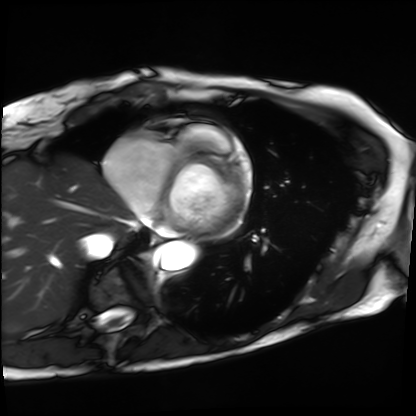
{
  "modality": "cardiac MRI",
  "cohort": "patient"
}